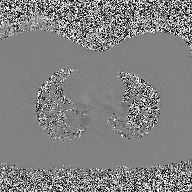
2D phase-contrast cine MRI of the ascending aorta, high-resolution GRAPPA acquisition.